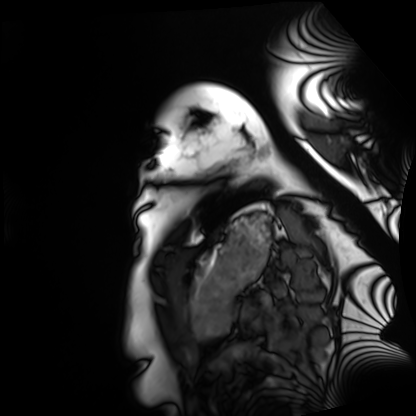
Cardiac MRI. Subject group: healthy volunteer.